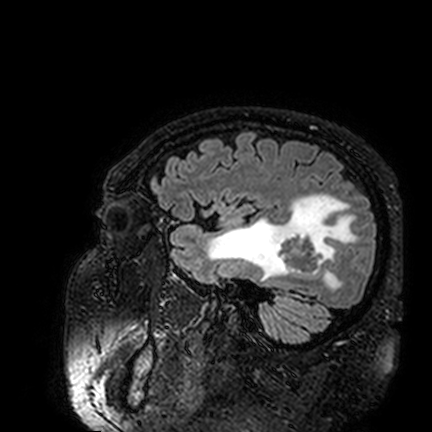
3 Tesla brain MRI.
Series: FLAIR VISTA.
Study: ring-enhancing brain masses.